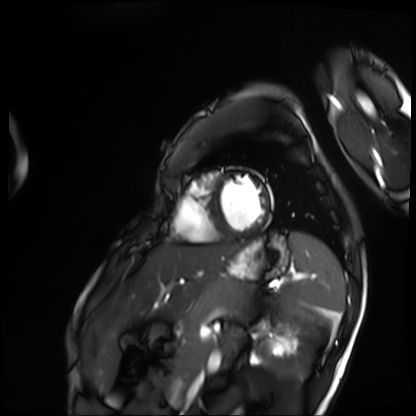
Q: What kind of scan is this?
A: Cardiac MRI.
Subject group: patient.